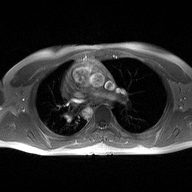
2D phase-contrast cine MRI of the ascending aorta, high-resolution GRAPPA acquisition.